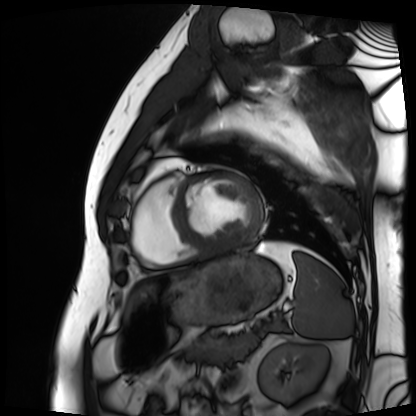
Cardiac MRI. Subject group: patient.